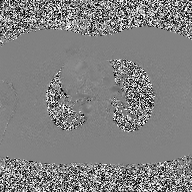
<scan>
  <modality>
    <type>2D phase-contrast cine MRI</type>
    <region>ascending aorta</region>
    <reconstruction>high-resolution GRAPPA acquisition</reconstruction>
  </modality>
</scan>